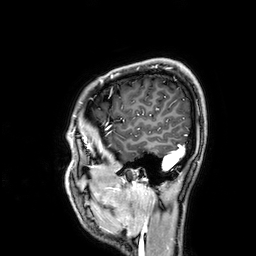
Q: What kind of scan is this?
A: 3 Tesla brain MRI.
Q: Series?
A: 3D T1-weighted.
Study: ring-enhancing brain masses.